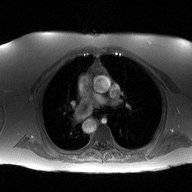
2D phase-contrast cine MRI of the ascending aorta, high-resolution GRAPPA acquisition.